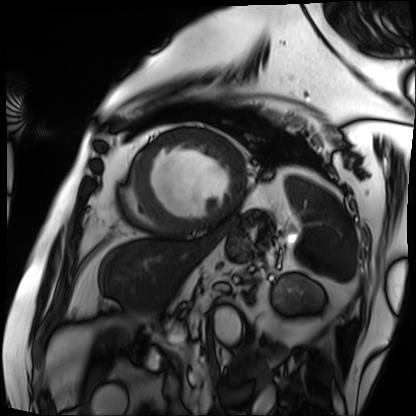
modality=cardiac MRI | subject group=patient.